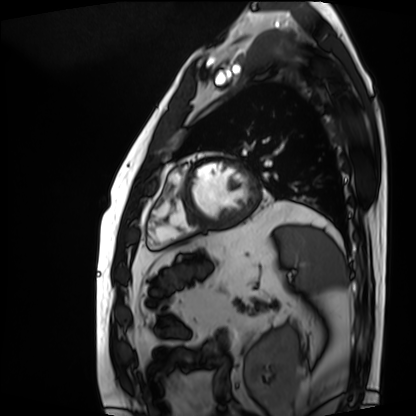
Summary: Cardiac MRI. Subject group: patient.